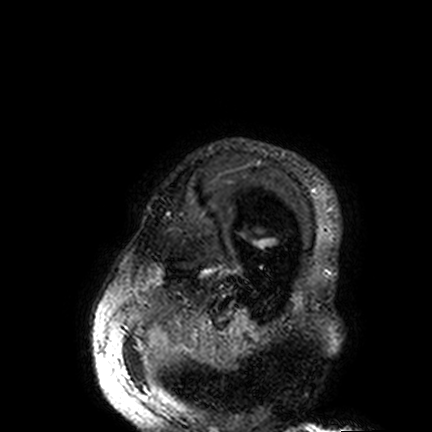
modality — 3 Tesla brain MRI; series — FLAIR VISTA; study — ring-enhancing brain masses.